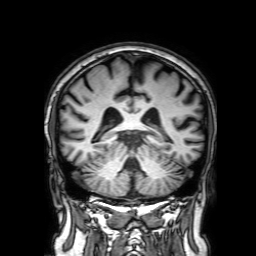
Case summary: 3 Tesla brain MRI. Series: 3D T1-weighted with SENSE. Study: ring-enhancing brain masses.